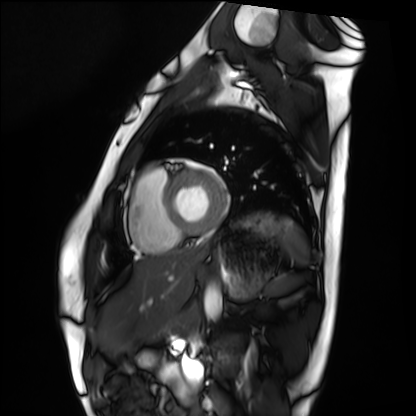
{"modality": "cardiac MRI", "cohort": "healthy volunteer"}